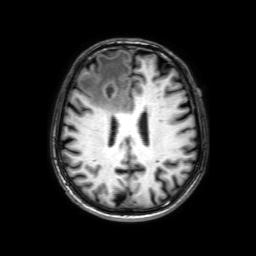
{
  "modality": {
    "type": "brain MRI",
    "field_strength": "3T"
  },
  "series": "3D T1-weighted with SENSE",
  "study_topic": "ring-enhancing brain masses"
}